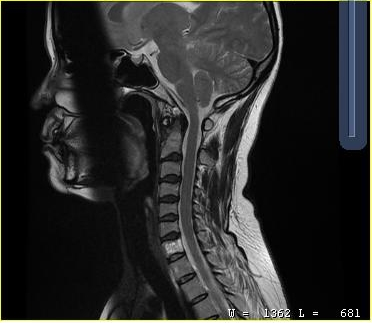
Q: What kind of scan is this?
A: MRI of the cervical spine.
Study: cervical spondylosis.